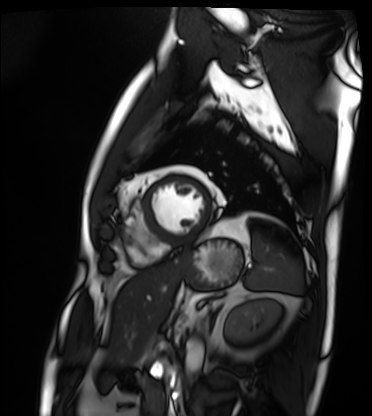
Cardiac MRI. Subject group: patient.